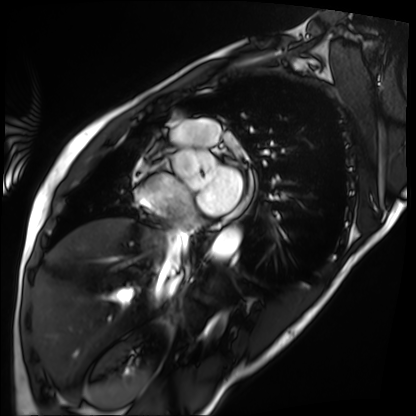
- modality: cardiac MRI
- subject group: patient